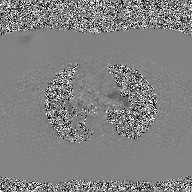
Q: What kind of scan is this?
A: 2D phase-contrast cine MRI of the ascending aorta, GAN super-resolution reconstruction.